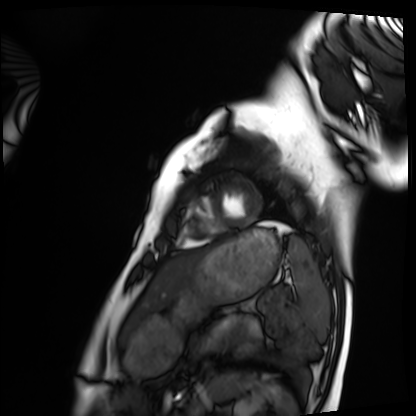
<scan>
  <modality>cardiac MRI</modality>
  <cohort>healthy volunteer</cohort>
</scan>